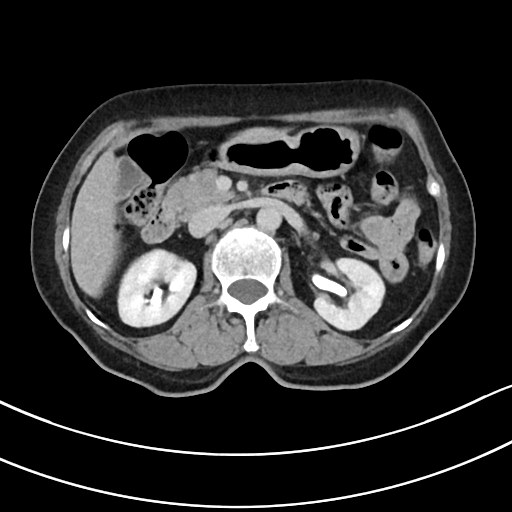
Multiphase abdominal CT, liver, delayed phase.
Patient: female, age 75.
History: viral hepatitis.